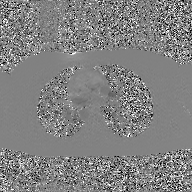
modality = 2D phase-contrast cine MRI of the ascending aorta, GAN super-resolution reconstruction.